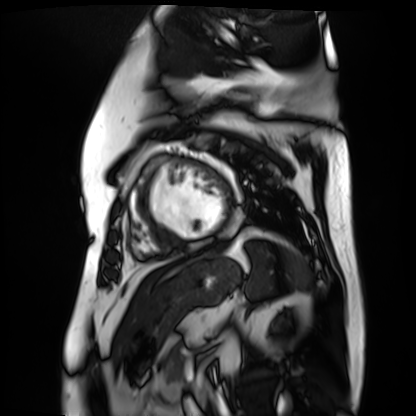
Case summary: Cardiac MR image of the myocardium. Subject cohort: cardiac patient.